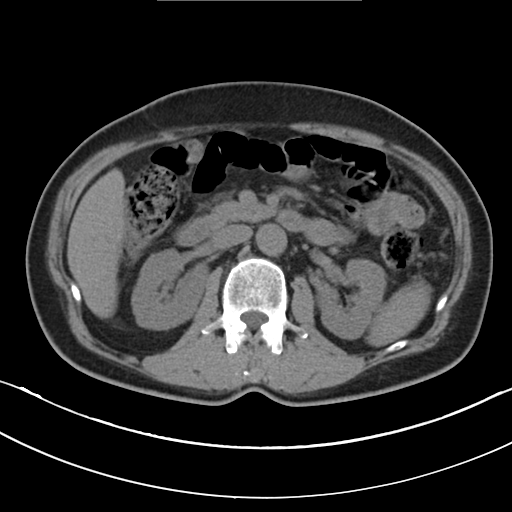
Multiphase abdominal CT, liver, non-contrast phase. Patient: male, age 59.